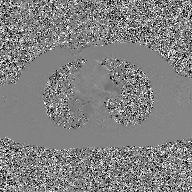
Case summary:
2D phase-contrast cine MRI of the ascending aorta, GAN super-resolution reconstruction.